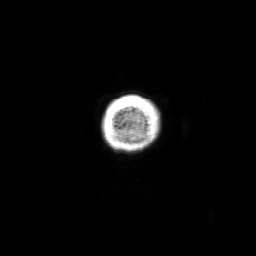
Clinical context: 3 Tesla brain MRI. Series: 3D T1-weighted with SENSE. Study: ring-enhancing brain masses.